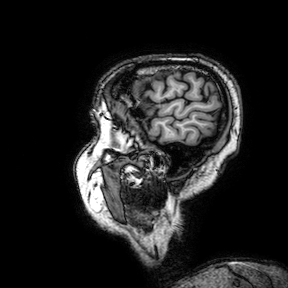
Summary:
3 Tesla brain MRI. Series: 3D T1-weighted turbo field echo with SENSE. Study: ring-enhancing brain masses.